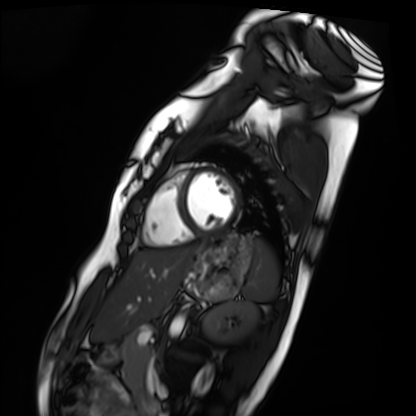
<scan>
<modality>cardiac MRI</modality>
<cohort>healthy volunteer</cohort>
</scan>